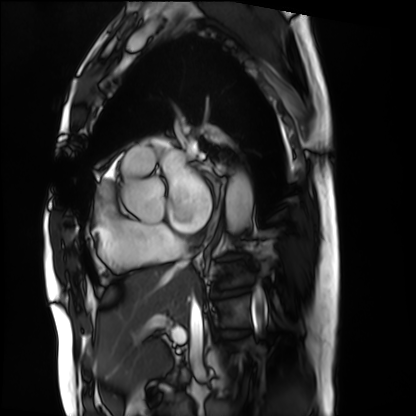
Cardiac MRI. Subject group: patient.